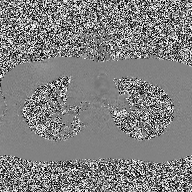
modality: 2D phase-contrast cine MRI of the ascending aorta.